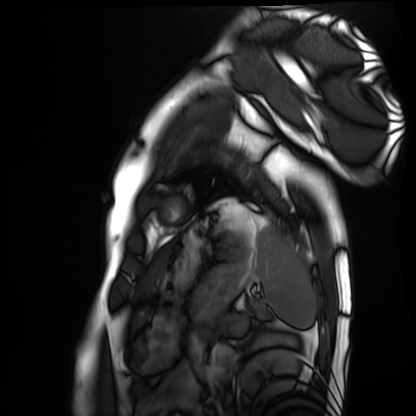
Summary: Cardiac MRI. Subject group: healthy volunteer.